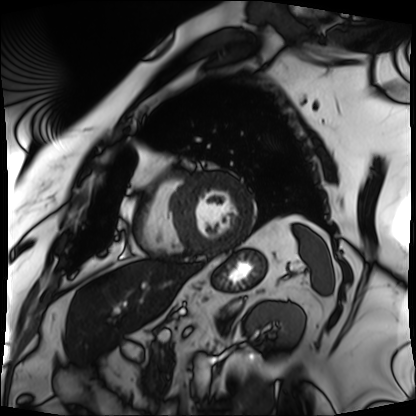
Cardiac MRI.
Subject group: patient.